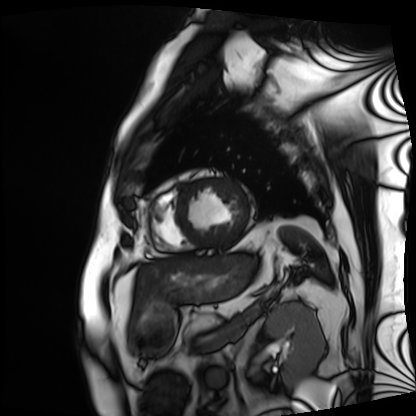
Cardiac MRI.
Subject group: patient.